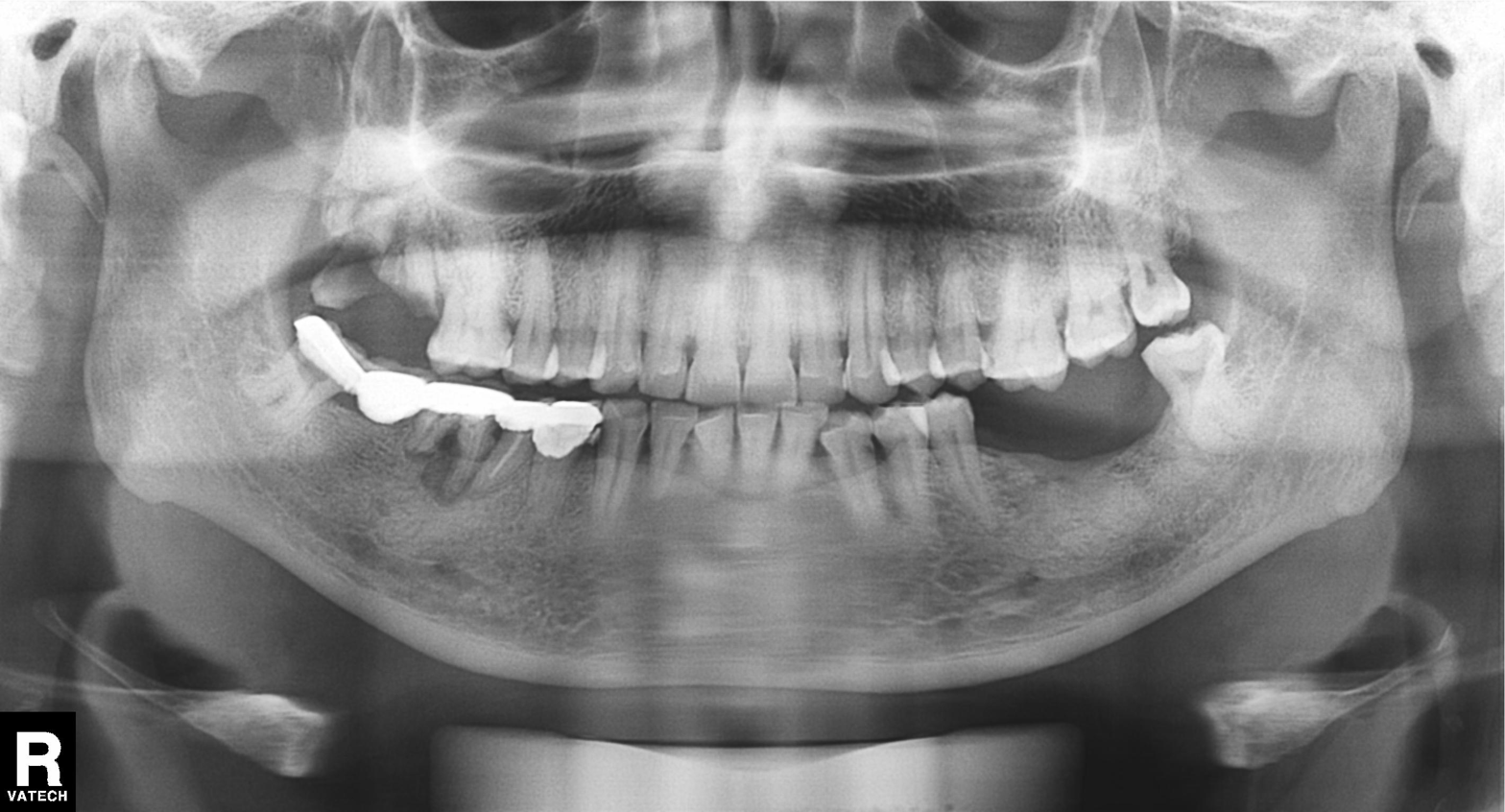
<case>
<modality>panoramic dental radiograph (orthopantomogram)</modality>
<finding>dental caries (cavities)</finding>
</case>